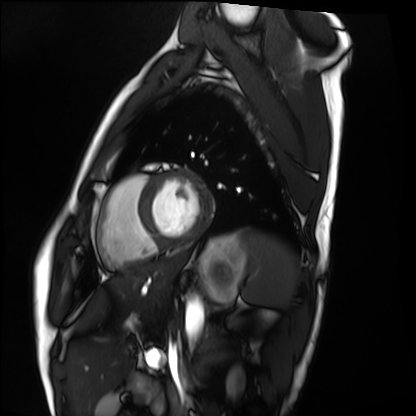
modality = cardiac MRI | subject group = healthy volunteer.